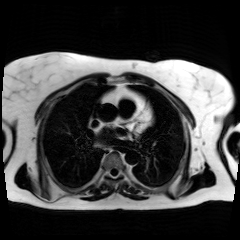
Chemical-shift-encoded cardiac MRI.